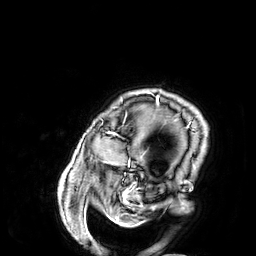
modality:
  type: brain MRI
  field_strength: 3T
study_topic: ring-enhancing brain masses